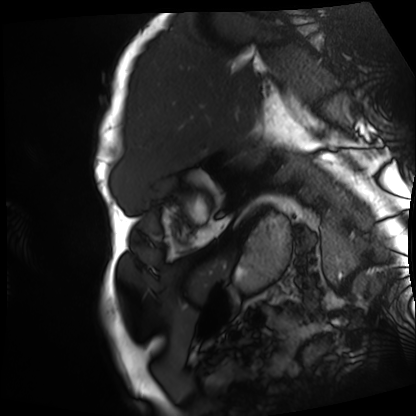
modality: cardiac MRI
cohort: patient